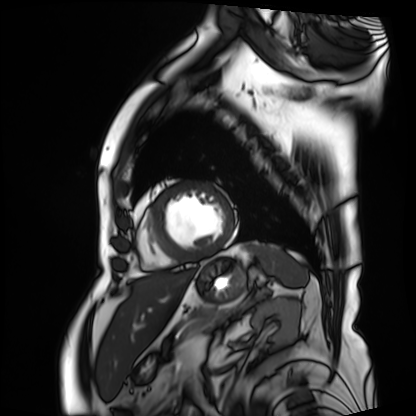
* modality — cardiac MRI
* subject group — patient